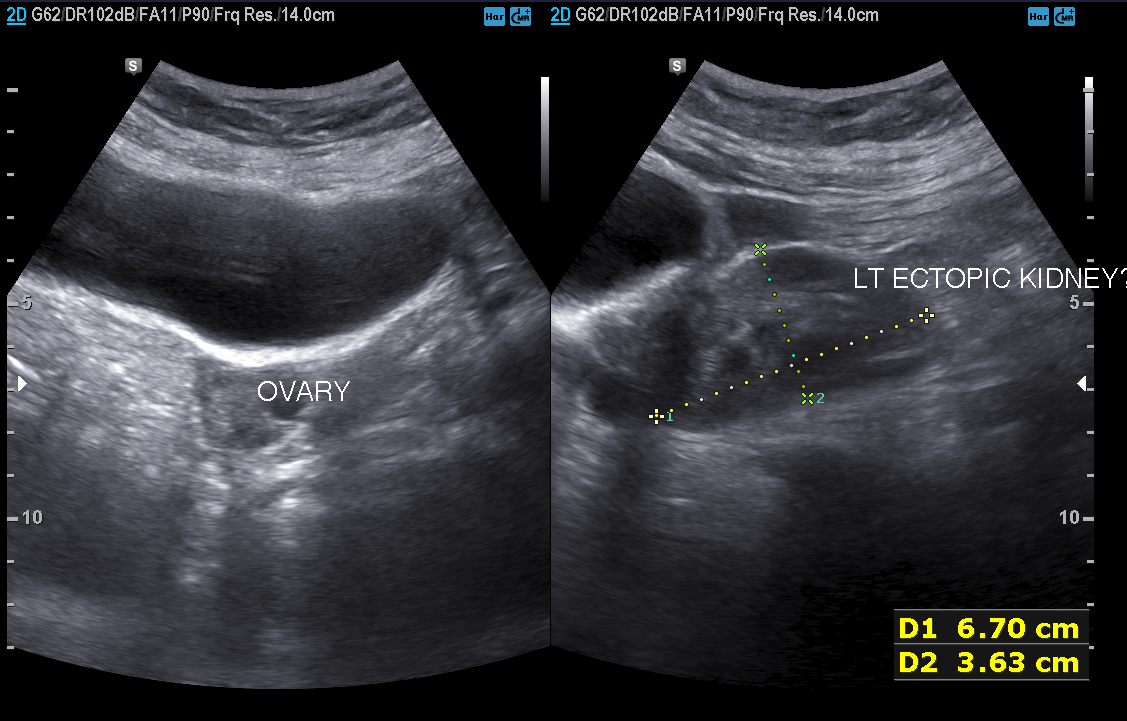
modality — genitourinary ultrasound.